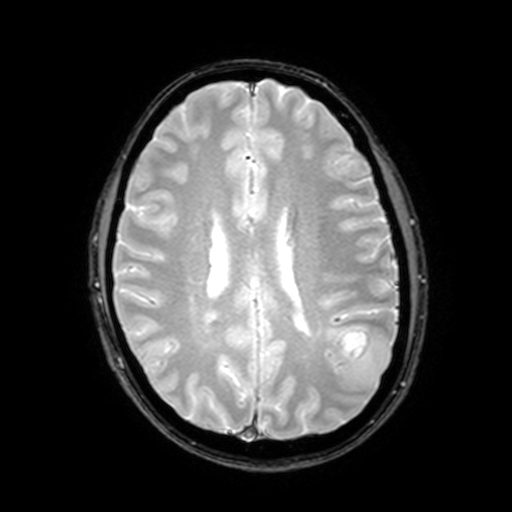
Q: What kind of scan is this?
A: 3 Tesla brain MRI.
Q: Series?
A: T2-weighted fast field echo with SENSE.
Study: ring-enhancing brain masses.